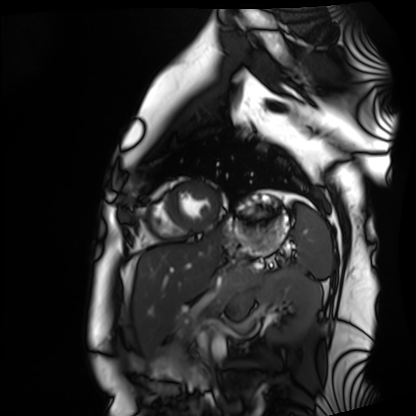
Q: What kind of scan is this?
A: Cardiac MRI.
Subject group: healthy volunteer.